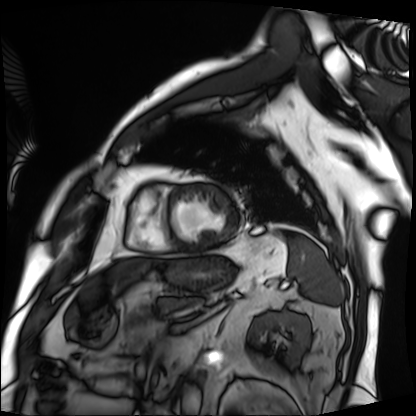
Q: What kind of scan is this?
A: Cardiac MRI.
Subject group: patient.